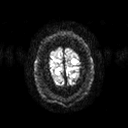
modality: 3 Tesla brain MRI | series: diffusion tensor imaging (medium iso) | study: ring-enhancing brain masses.